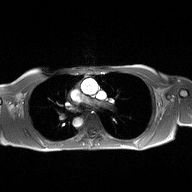
2D phase-contrast cine MRI of the ascending aorta, high-resolution GRAPPA acquisition.